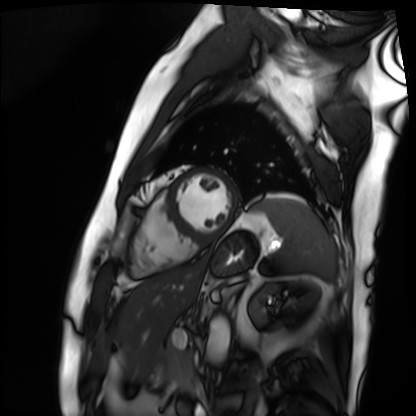
Case summary:
Cardiac MRI. Subject group: patient.